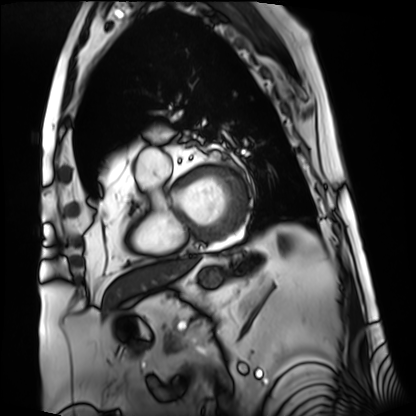
* modality: cardiac MRI
* subject group: patient